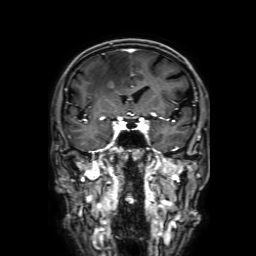
modality: 3 Tesla brain MRI | series: 3D T1-weighted with SENSE | study: ring-enhancing brain masses.